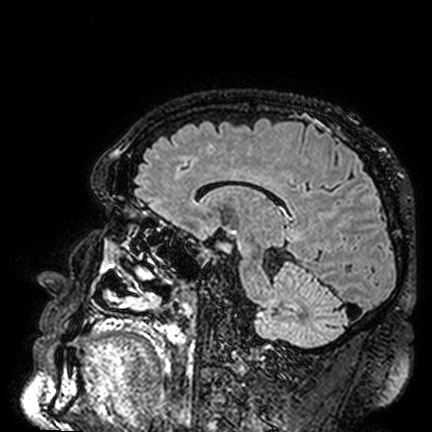
{
  "modality": {
    "type": "brain MRI",
    "field_strength": "3T"
  },
  "series": "FLAIR VISTA",
  "study_topic": "ring-enhancing brain masses"
}